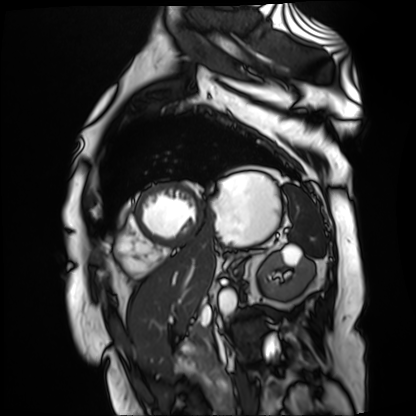
Cardiac MR image of the myocardium.
Subject cohort: cardiac patient.